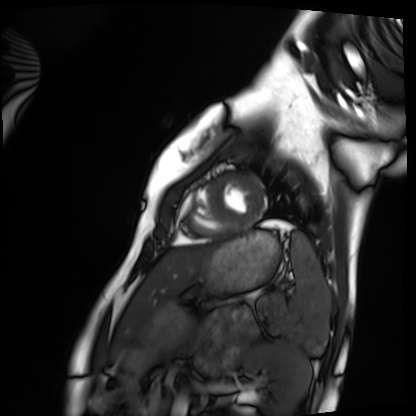
modality: cardiac MRI | subject group: healthy volunteer.